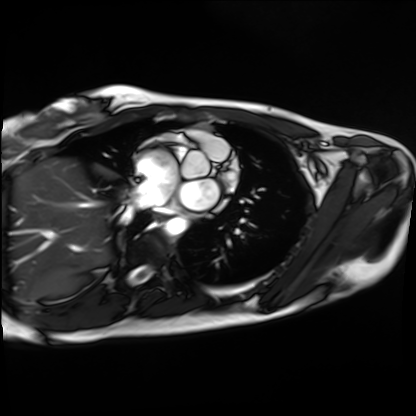
Cardiac MRI. Subject group: healthy volunteer.